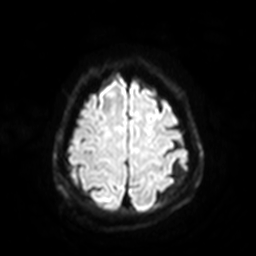
3 Tesla brain MRI.
Series: diffusion-weighted imaging with SENSE (WIP).
Study: ring-enhancing brain masses.